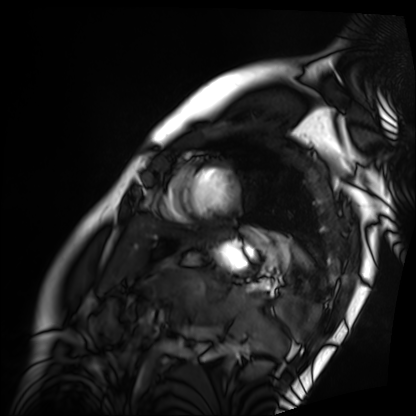
Case summary: Cardiac MRI. Subject group: patient.